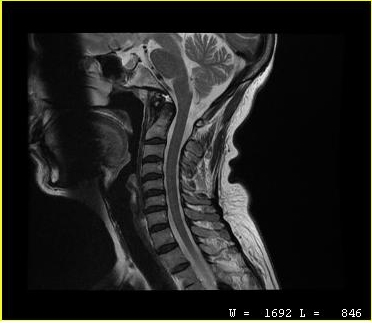
modality: MRI of the cervical spine | study: cervical spondylosis.